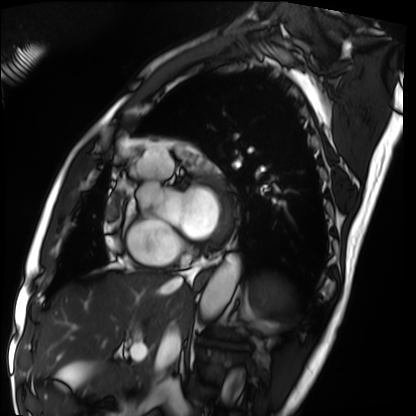
Cardiac MRI. Subject group: patient.